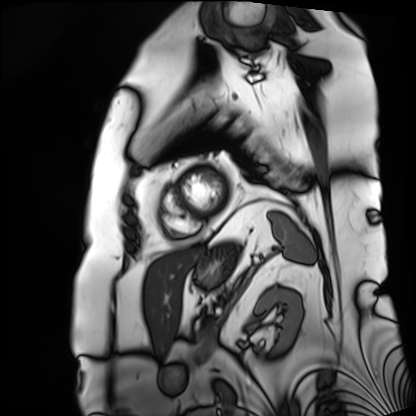
Clinical context: Cardiac MRI. Subject group: patient.